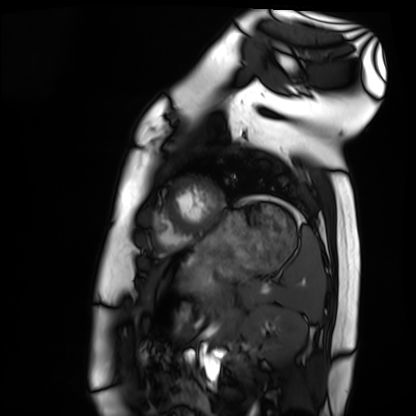
* modality · cardiac MRI
* subject group · healthy volunteer